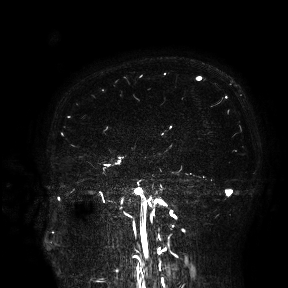
3 Tesla brain MRI. Study: ring-enhancing brain masses.